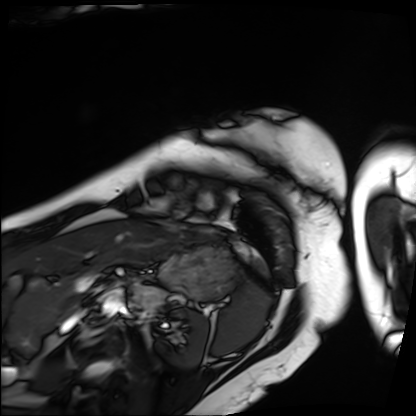
Cardiac MRI.
Subject group: patient.